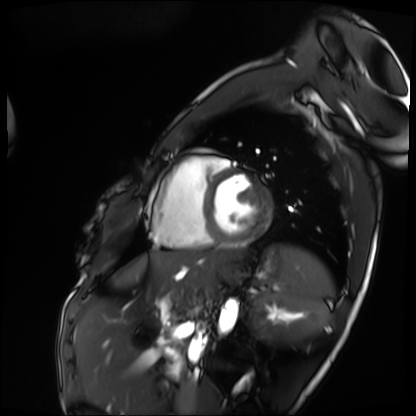
modality = cardiac MRI
subject group = patient